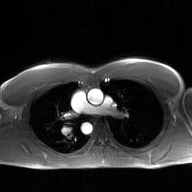
Clinical context: 2D phase-contrast cine MRI of the ascending aorta, GAN super-resolution reconstruction.